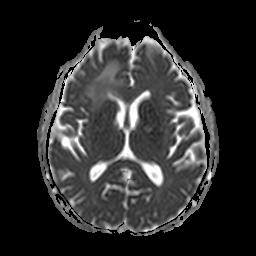
| field | value |
|---|---|
| modality | 3 Tesla brain MRI |
| series | apparent diffusion coefficient (ADC) map |
| study | ring-enhancing brain masses |